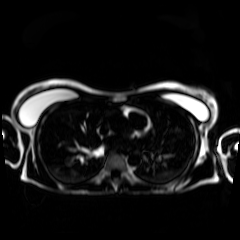
• modality · chemical-shift-encoded cardiac MRI